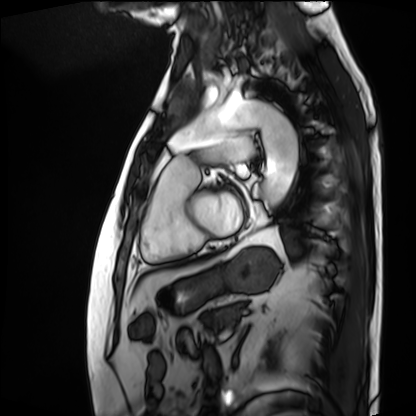
– modality · cardiac MRI
– subject group · patient